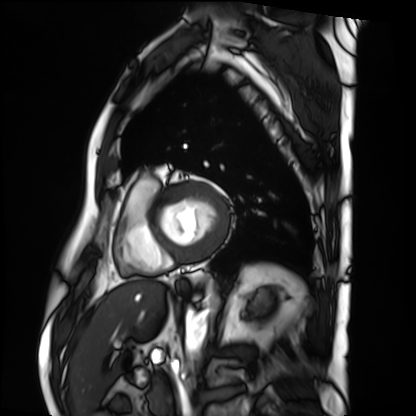
Cardiac MRI.
Subject group: patient.